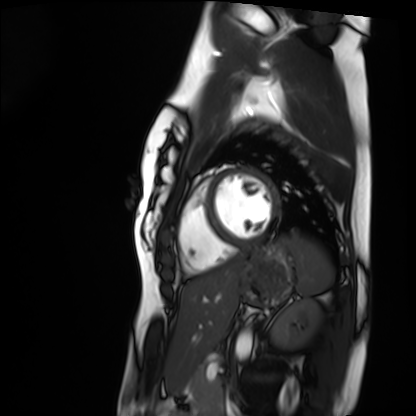
Cardiac MRI. Subject group: healthy volunteer.